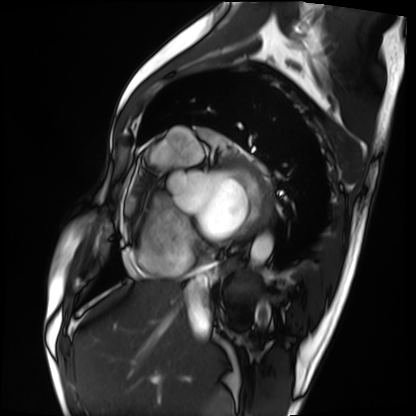
modality = cardiac MRI | subject group = patient.